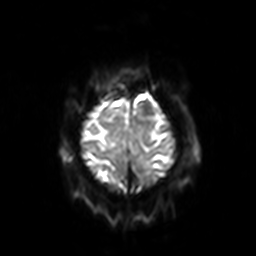
3 Tesla brain MRI.
Study: ring-enhancing brain masses.